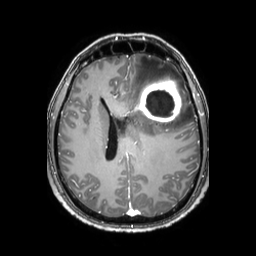
3 Tesla brain MRI. Study: ring-enhancing brain masses.